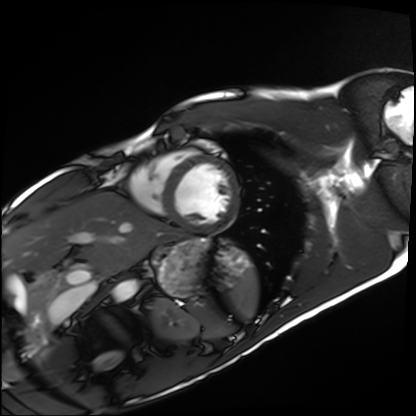
Clinical context: Cardiac MRI. Subject group: healthy volunteer.